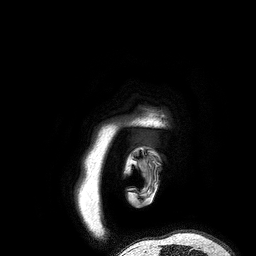
Summary:
3 Tesla brain MRI. Series: 3D T1-weighted turbo field echo. Study: ring-enhancing brain masses.